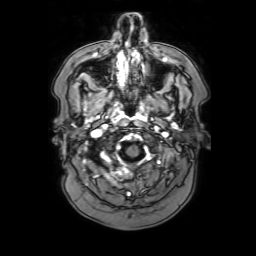
| field | value |
|---|---|
| modality | 3 Tesla brain MRI |
| series | 3D T1-weighted with SENSE |
| study | ring-enhancing brain masses |